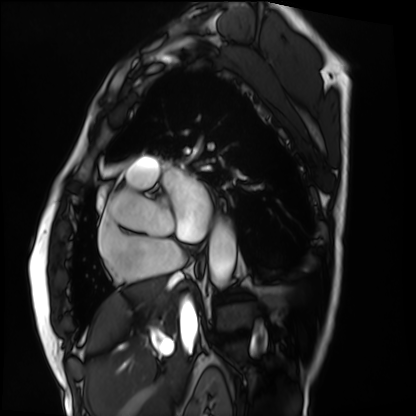
Q: What kind of scan is this?
A: Cardiac MRI.
Subject group: patient.